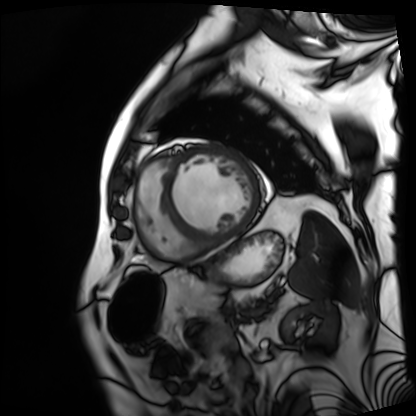
Summary: Cardiac MRI. Subject group: patient.